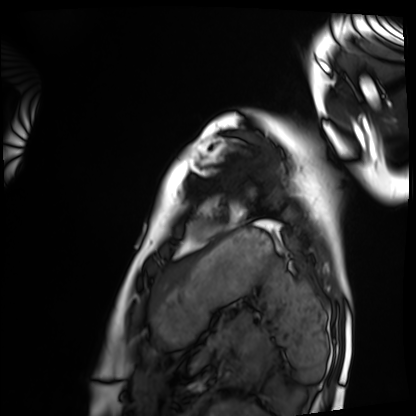
Clinical context:
Cardiac MRI. Subject group: healthy volunteer.